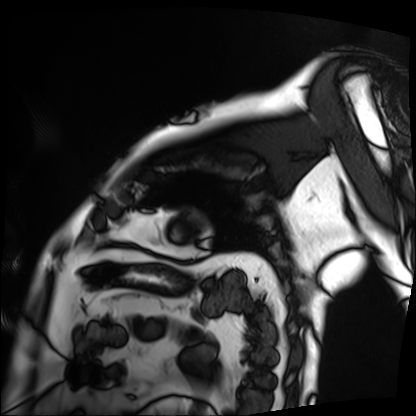
Case:
• modality — cardiac MRI
• subject group — patient